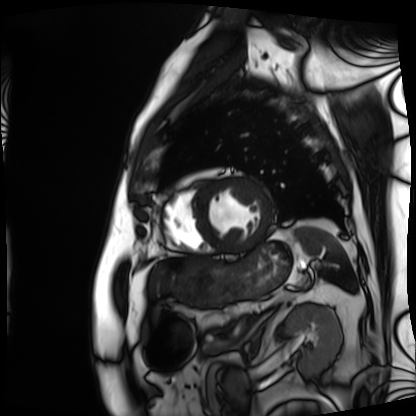
* modality · cardiac MRI
* subject group · patient